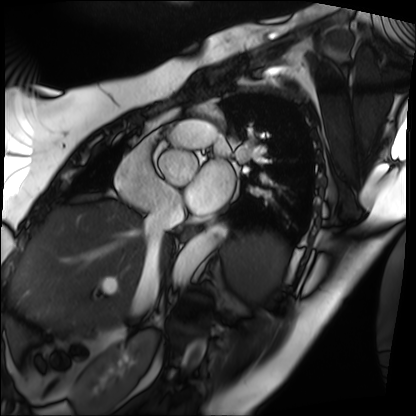
Clinical context: Cardiac MRI. Subject group: patient.